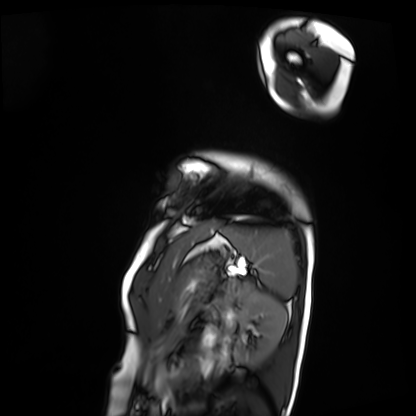
Cardiac MRI. Subject group: patient.